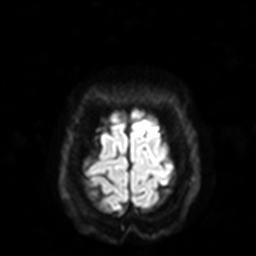
3 Tesla brain MRI.
Series: diffusion-weighted imaging with SENSE (WIP).
Study: ring-enhancing brain masses.